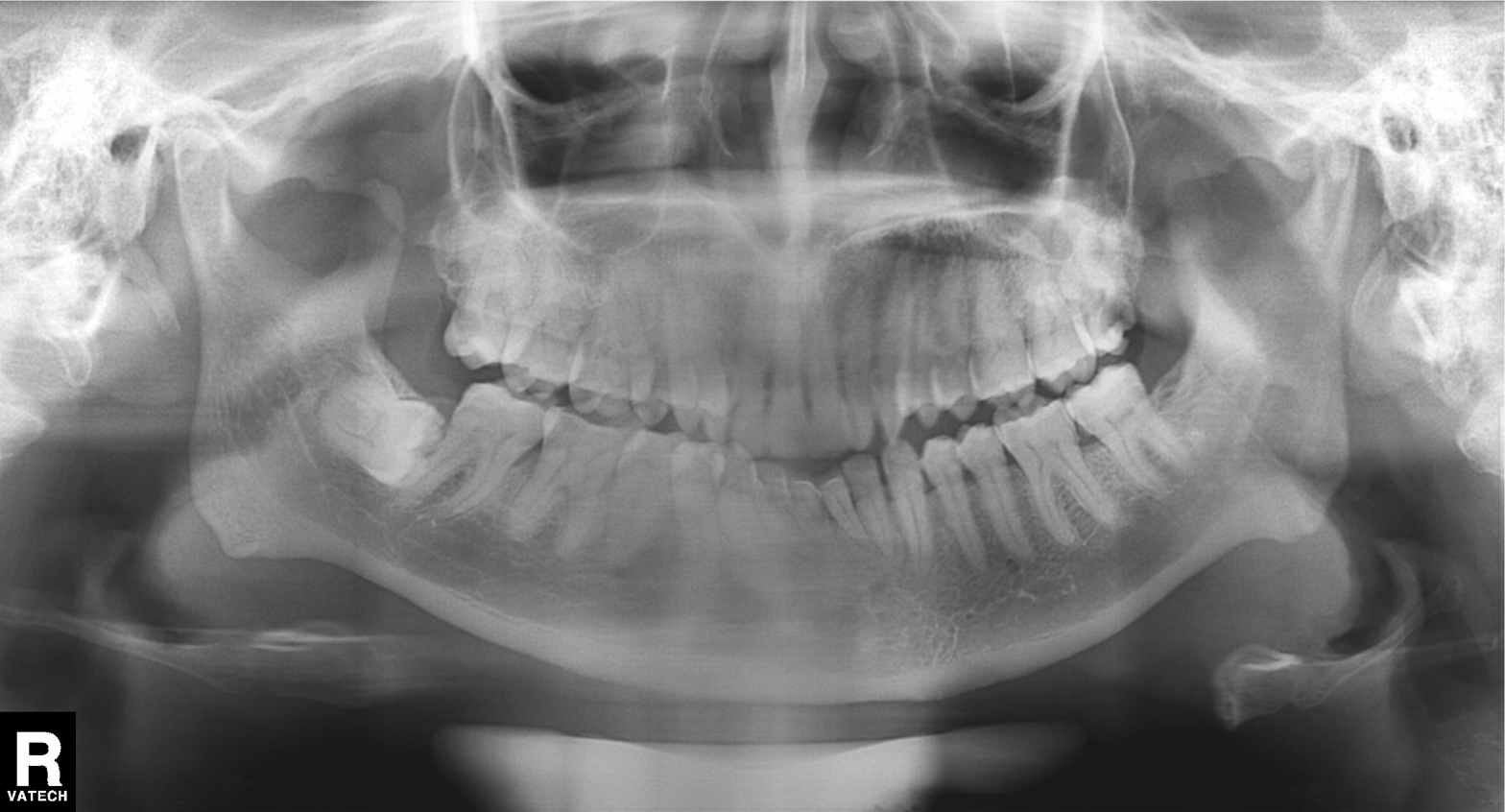
modality: panoramic dental radiograph (orthopantomogram) | finding: tooth impaction.